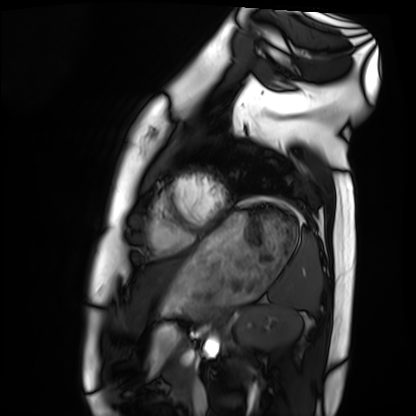
{"modality": "cardiac MRI", "cohort": "healthy volunteer"}